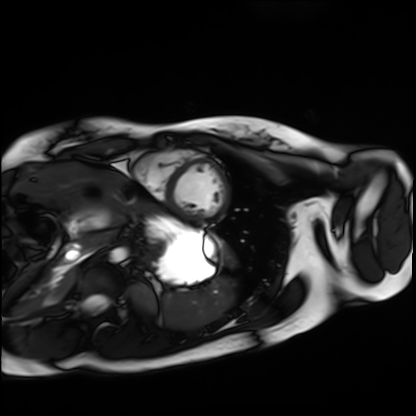
{"modality": "cardiac MRI", "cohort": "healthy volunteer"}